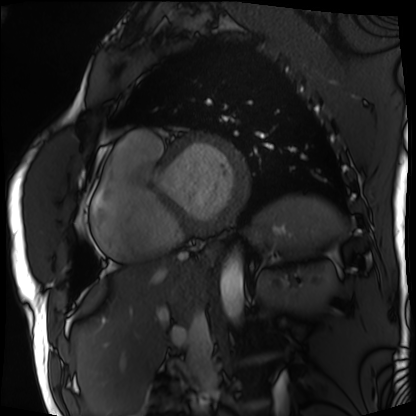
Cardiac MRI. Subject group: patient.